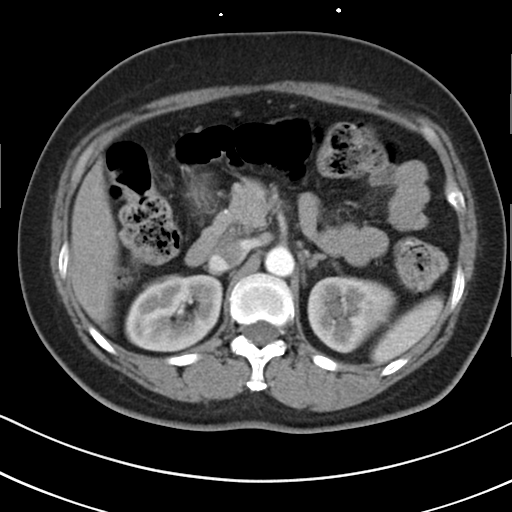
Multiphase abdominal CT, liver, arterial phase. Patient: female, age 55.